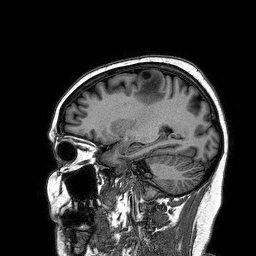
3 Tesla brain MRI. Series: 3D T1-weighted turbo field echo. Study: ring-enhancing brain masses.